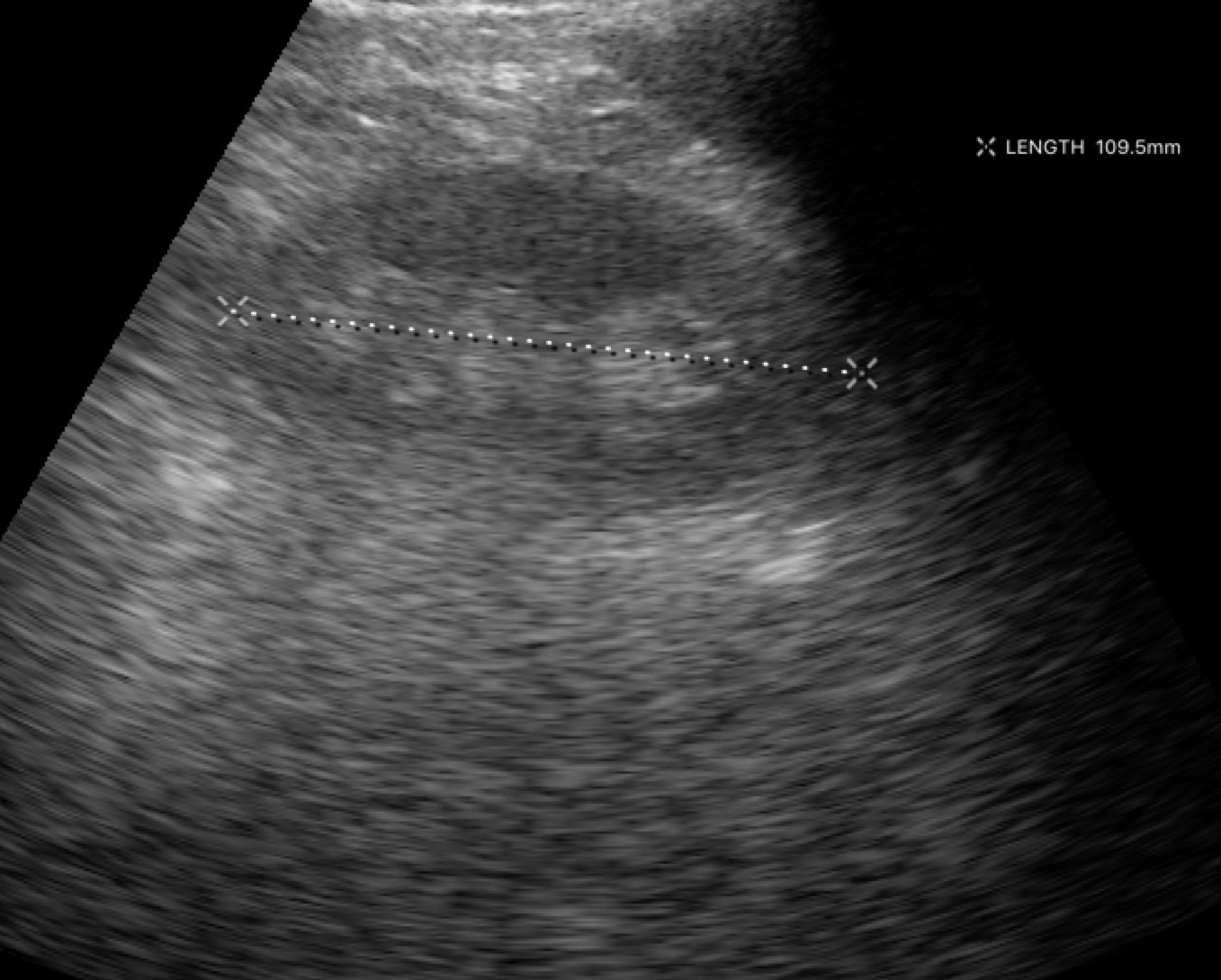
Case summary:
Genitourinary ultrasound.